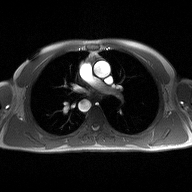
2D phase-contrast cine MRI of the ascending aorta, high-resolution GRAPPA acquisition.